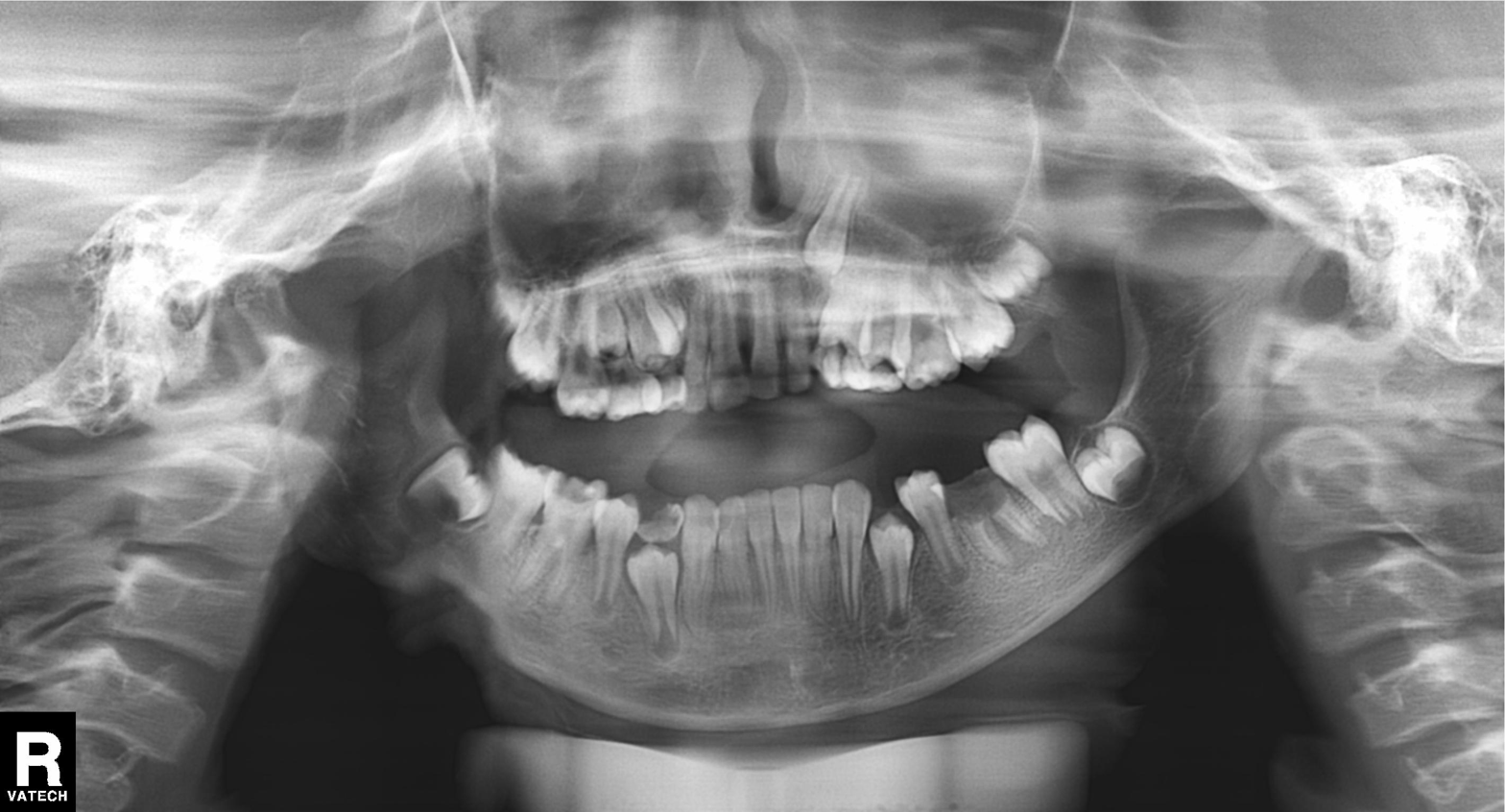
| field | value |
|---|---|
| modality | panoramic dental radiograph (orthopantomogram) |
| finding | alveolar bone loss |